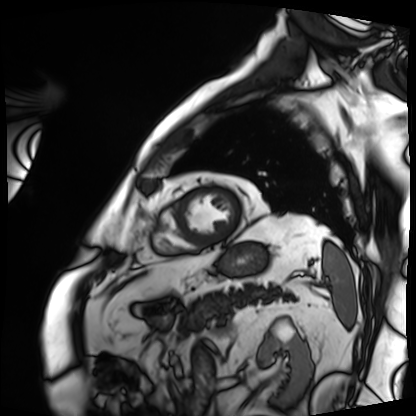
modality: cardiac MRI, subject group: patient.